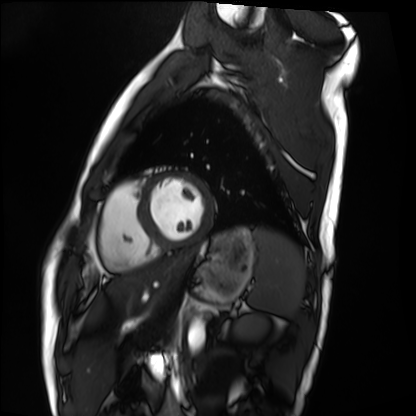
Cardiac MRI. Subject group: healthy volunteer.